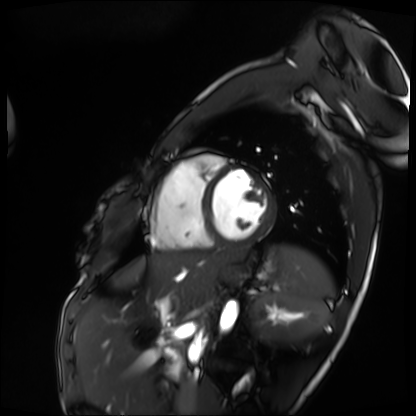
Q: What kind of scan is this?
A: Cardiac MRI.
Subject group: patient.